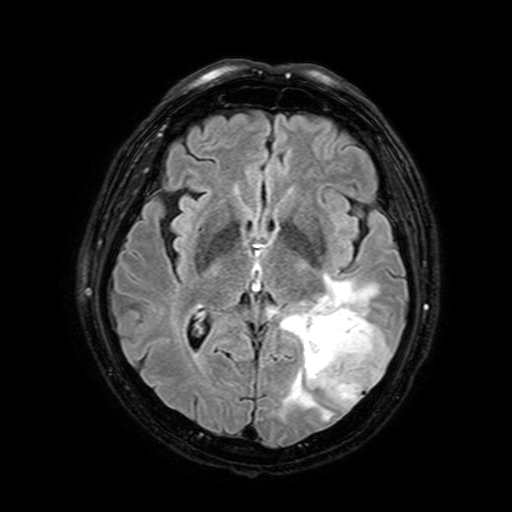
3 Tesla brain MRI.
Series: FLAIR with SPAIR, 3 mm.
Study: ring-enhancing brain masses.